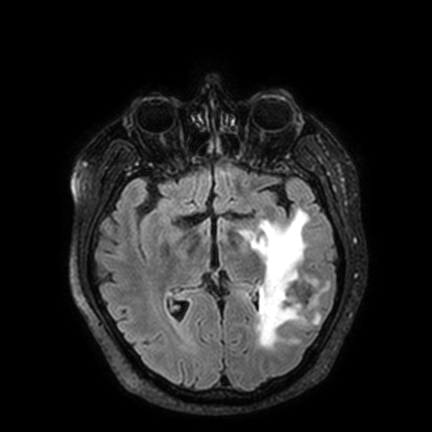
{"modality": {"type": "brain MRI", "field_strength": "3T"}, "series": "FLAIR VISTA with SENSE", "study_topic": "ring-enhancing brain masses"}